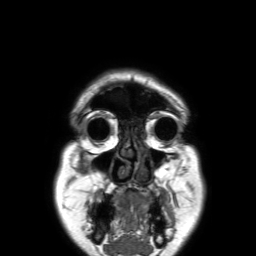
3 Tesla brain MRI.
Series: 3D T1-weighted TFE with SENSE.
Study: ring-enhancing brain masses.